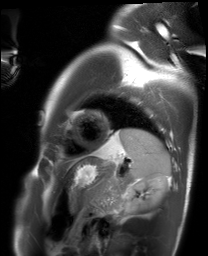
  modality: cardiac MRI
  cohort: healthy volunteer